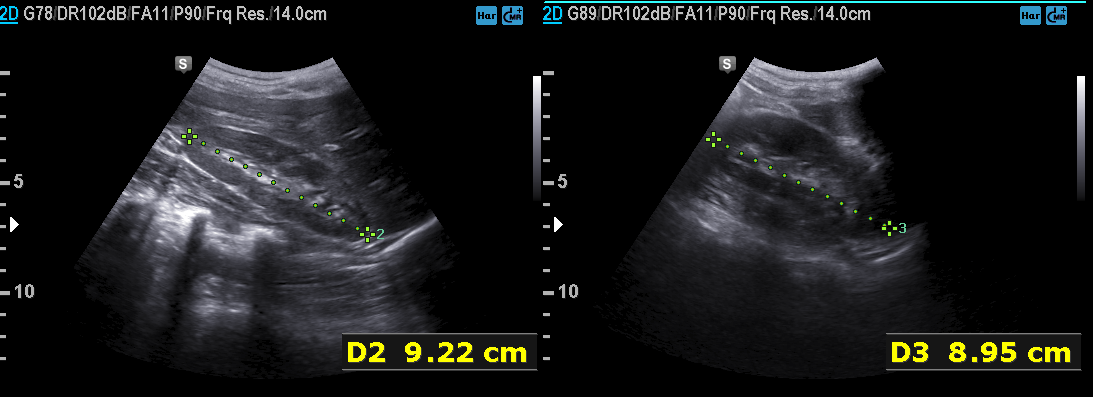
<study>
  <modality>
    <type>genitourinary ultrasound</type>
  </modality>
</study>